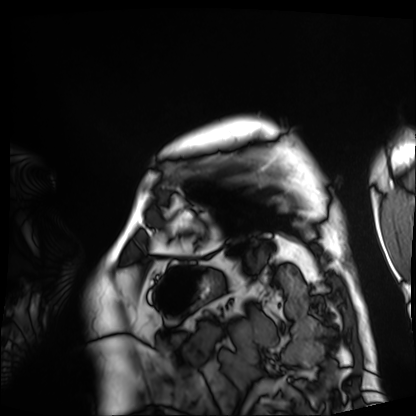
Cardiac MRI.
Subject group: patient.